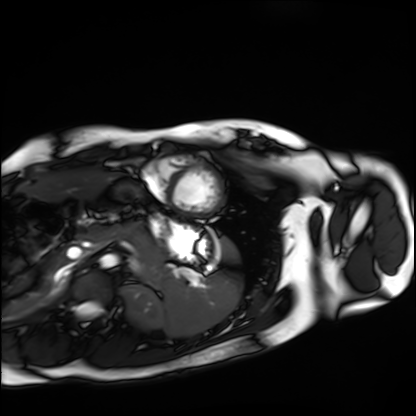
modality: cardiac MRI; subject group: healthy volunteer.